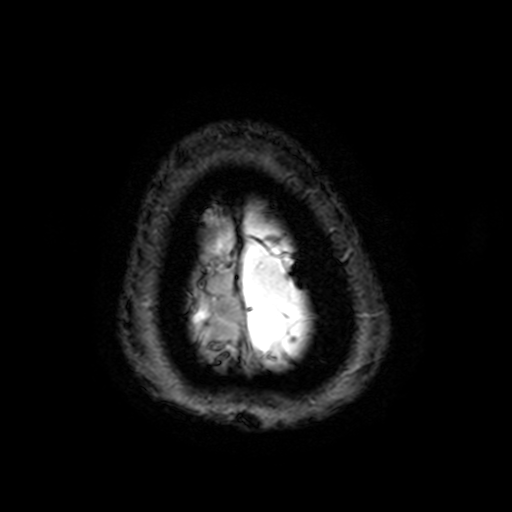
3 Tesla brain MRI. Series: T2-weighted fast field echo with SENSE. Study: ring-enhancing brain masses.